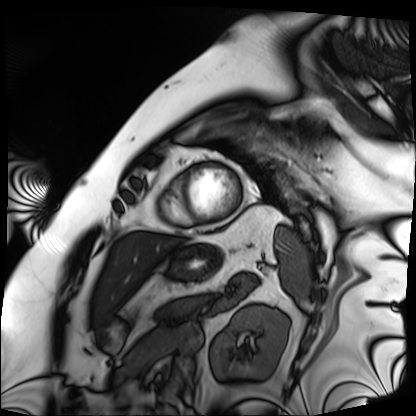
Case summary:
Cardiac MRI. Subject group: patient.